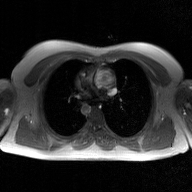
{
  "modality": {
    "type": "2D phase-contrast cine MRI",
    "region": "ascending aorta",
    "reconstruction": "GAN super-resolution reconstruction"
  }
}